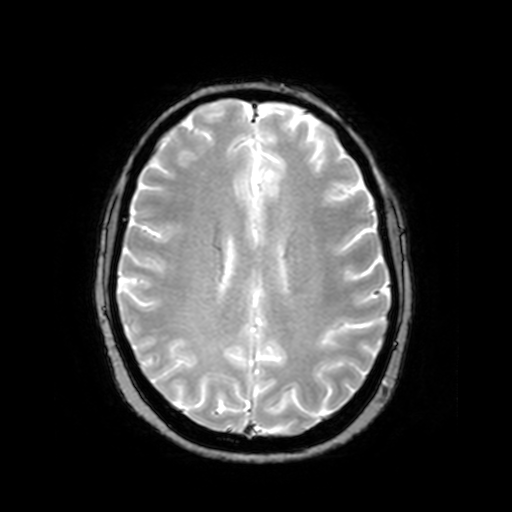
Case summary:
3 Tesla brain MRI. Series: T2-weighted fast field echo. Study: ring-enhancing brain masses.